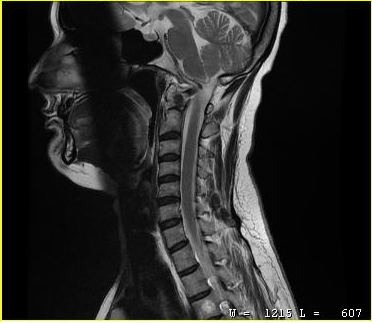
Q: What kind of scan is this?
A: MRI of the cervical spine.
Study: cervical spondylosis.